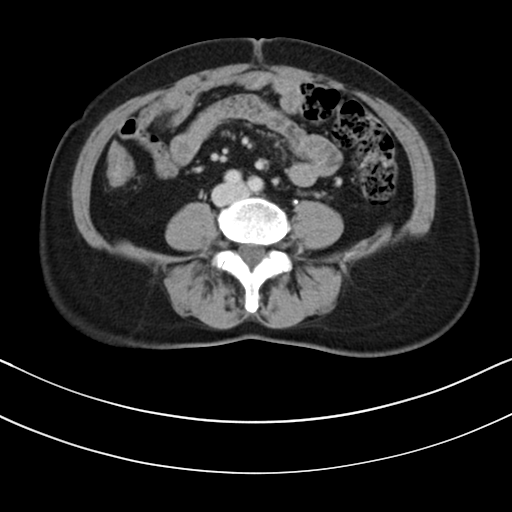
Q: What kind of scan is this?
A: Multiphase abdominal CT, liver, delayed phase.